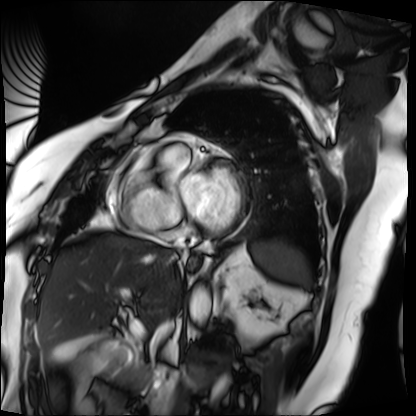
Cardiac MRI. Subject group: patient.